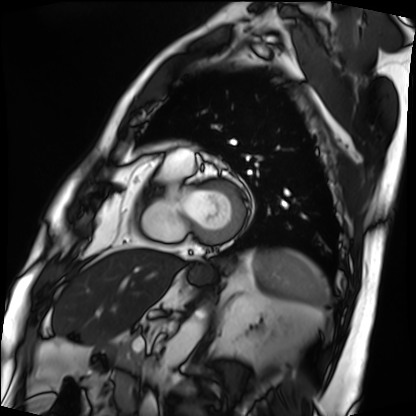
| field | value |
|---|---|
| modality | cardiac MRI |
| subject group | patient |